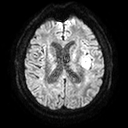
| field | value |
|---|---|
| modality | 3 Tesla brain MRI |
| series | diffusion tensor imaging (medium iso) |
| study | ring-enhancing brain masses |